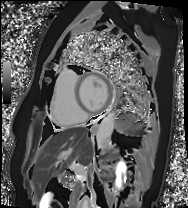
| field | value |
|---|---|
| modality | cardiac MRI |
| subject group | patient |